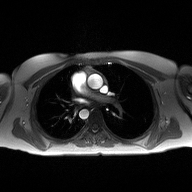
modality:
  type: 2D phase-contrast cine MRI
  region: ascending aorta
  reconstruction: high-resolution GRAPPA acquisition